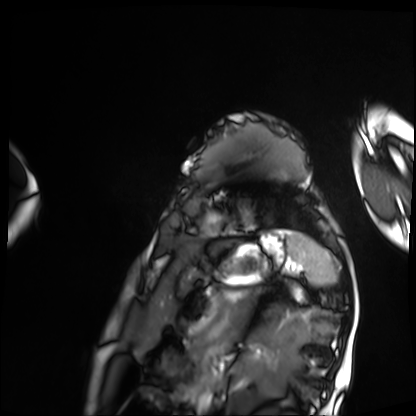
  modality: cardiac MRI
  cohort: patient